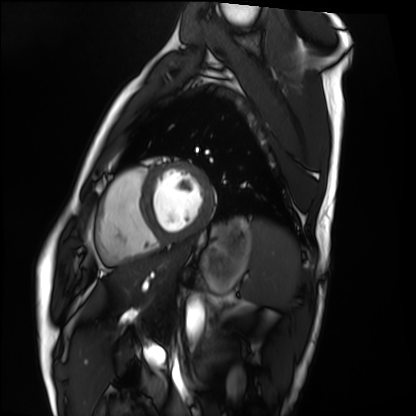
Q: What kind of scan is this?
A: Cardiac MRI.
Subject group: healthy volunteer.